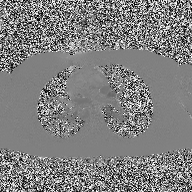
2D phase-contrast cine MRI of the ascending aorta, high-resolution GRAPPA acquisition.